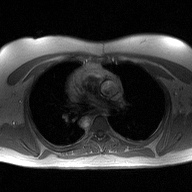
2D phase-contrast cine MRI of the ascending aorta, high-resolution GRAPPA acquisition.